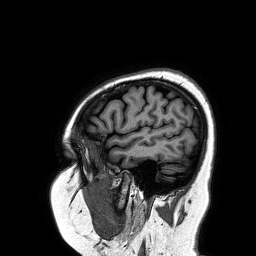
3 Tesla brain MRI. Study: ring-enhancing brain masses.